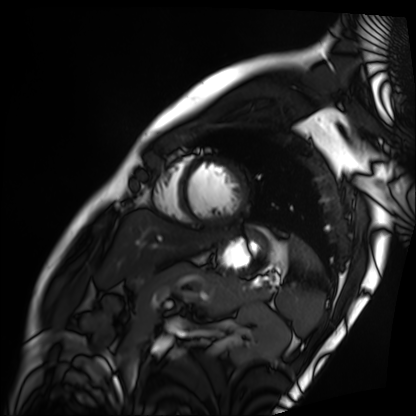
– modality — cardiac MRI
– subject group — patient